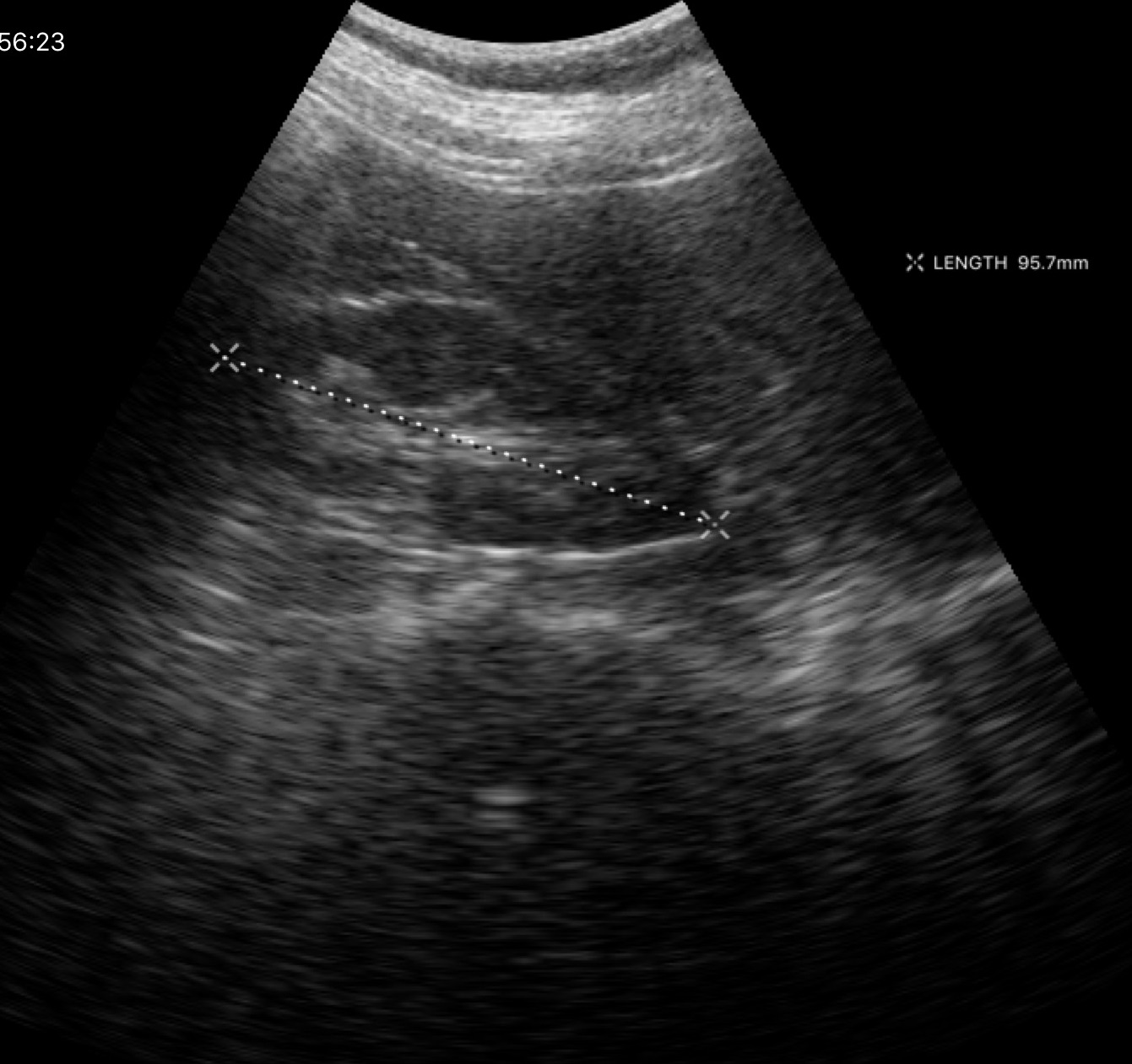
<study>
  <modality>
    <type>genitourinary ultrasound</type>
  </modality>
</study>